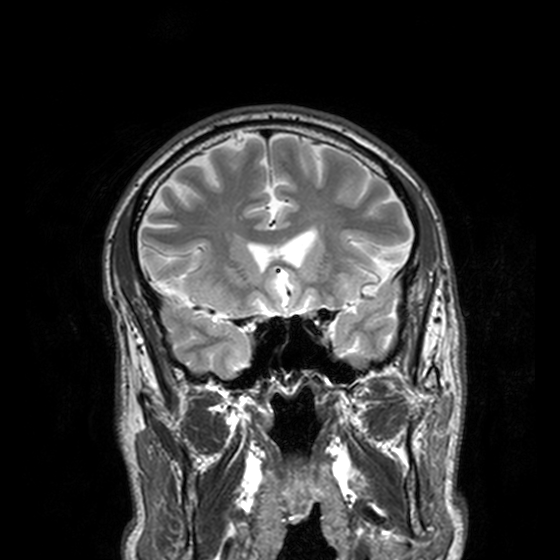
3 Tesla brain MRI.
Series: T2-weighted turbo spin echo, 3 mm.
Study: ring-enhancing brain masses.